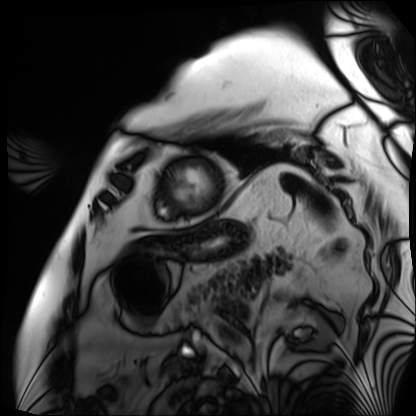
Cardiac MRI. Subject group: patient.